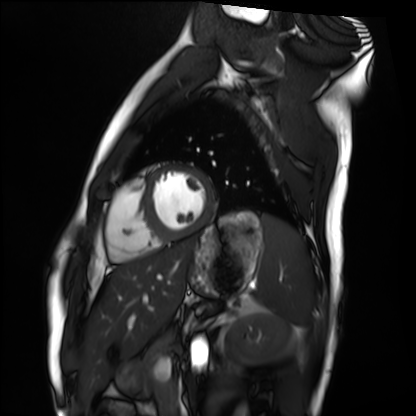
Cardiac MRI. Subject group: healthy volunteer.